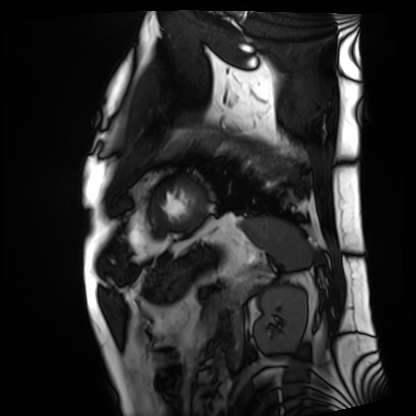
Cardiac MRI. Subject group: patient.